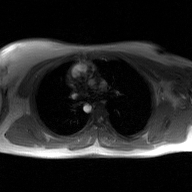
2D phase-contrast cine MRI of the ascending aorta, GAN super-resolution reconstruction.